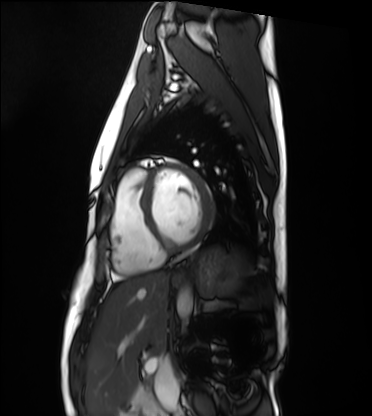
Cardiac MRI. Subject group: healthy volunteer.